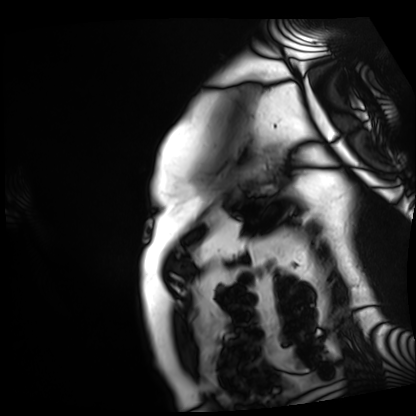
Clinical context:
Cardiac MRI. Subject group: patient.